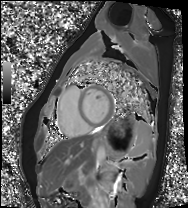
Cardiac MRI. Subject group: healthy volunteer.